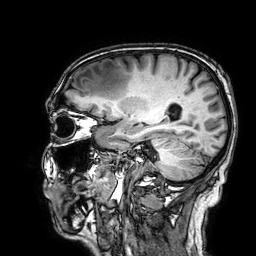
3 Tesla brain MRI.
Series: 3D T1-weighted.
Study: ring-enhancing brain masses.